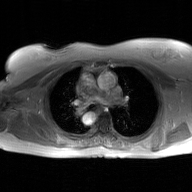
{
  "modality": {
    "type": "2D phase-contrast cine MRI",
    "region": "ascending aorta",
    "reconstruction": "GAN super-resolution reconstruction"
  }
}